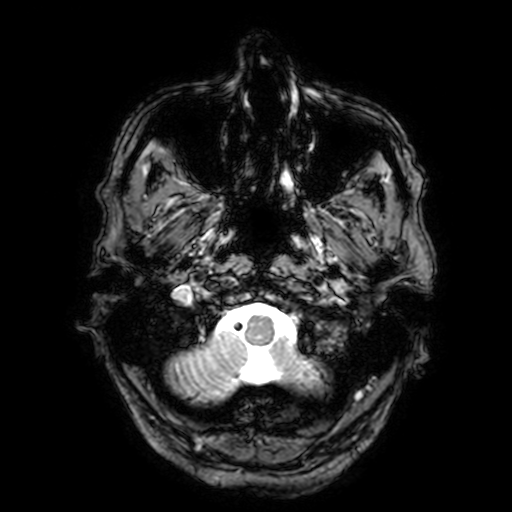
modality — 3 Tesla brain MRI
series — T2-weighted fast field echo with SENSE
study — ring-enhancing brain masses